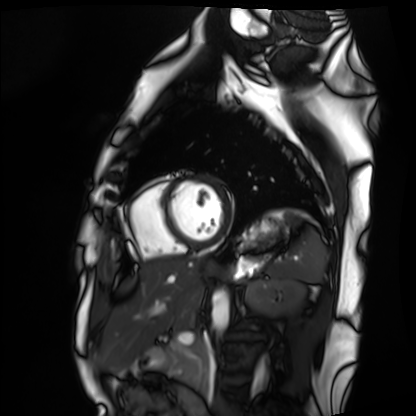
Cardiac MRI. Subject group: healthy volunteer.